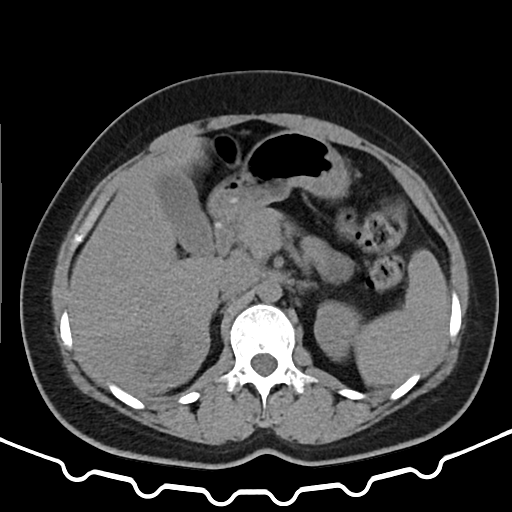
Multiphase abdominal CT, liver, non-contrast phase.
Patient: female, age 37.